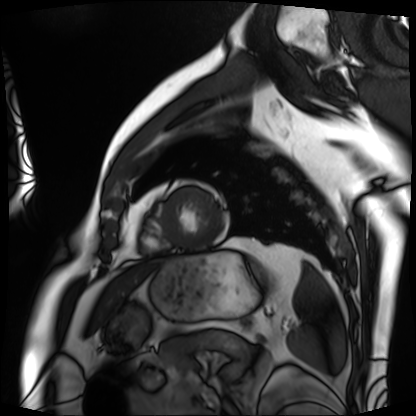
Summary: Cardiac MRI. Subject group: patient.